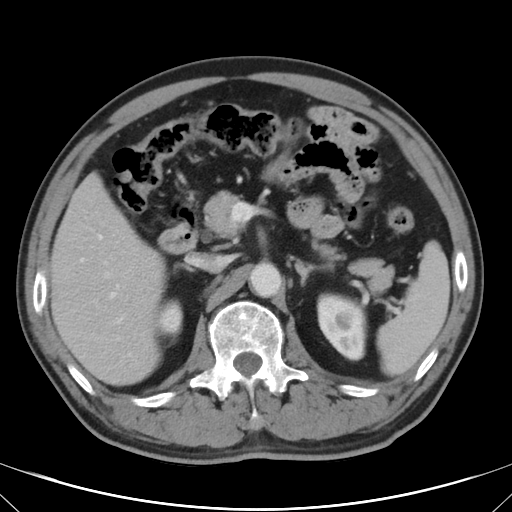
Q: What kind of scan is this?
A: Multiphase abdominal CT, liver, portal venous phase.
Q: Patient?
A: Male, age 62.
Q: History?
A: Cirrhosis, viral hepatitis.